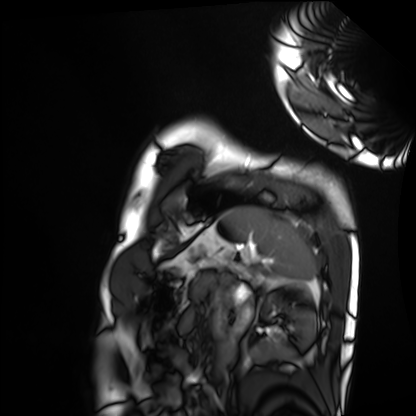
Summary: Cardiac MRI. Subject group: healthy volunteer.